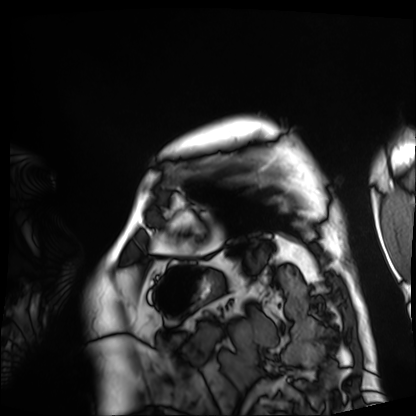
modality: cardiac MRI, subject group: patient.